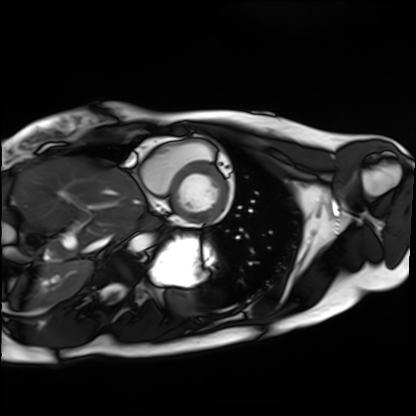
Case:
- modality · cardiac MRI
- subject group · healthy volunteer